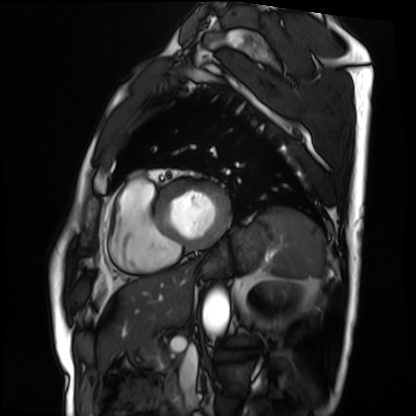
• modality · cardiac MRI
• subject group · patient